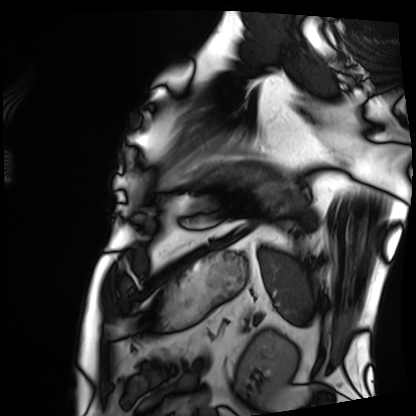
Cardiac MRI. Subject group: patient.